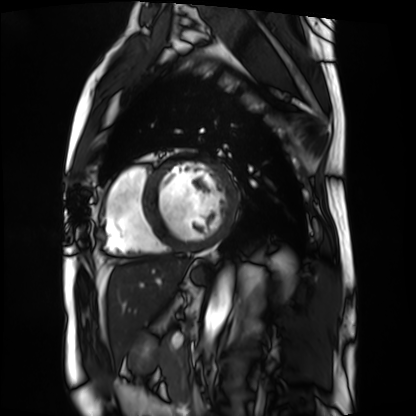
Q: What kind of scan is this?
A: Cardiac MRI.
Subject group: patient.